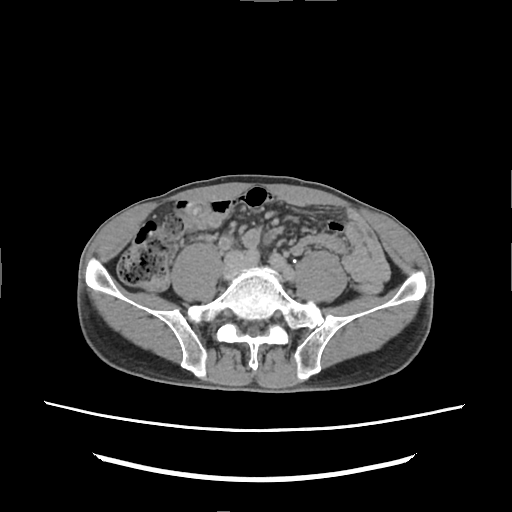
Multiphase abdominal CT, liver, delayed phase. Patient: male, age 60.